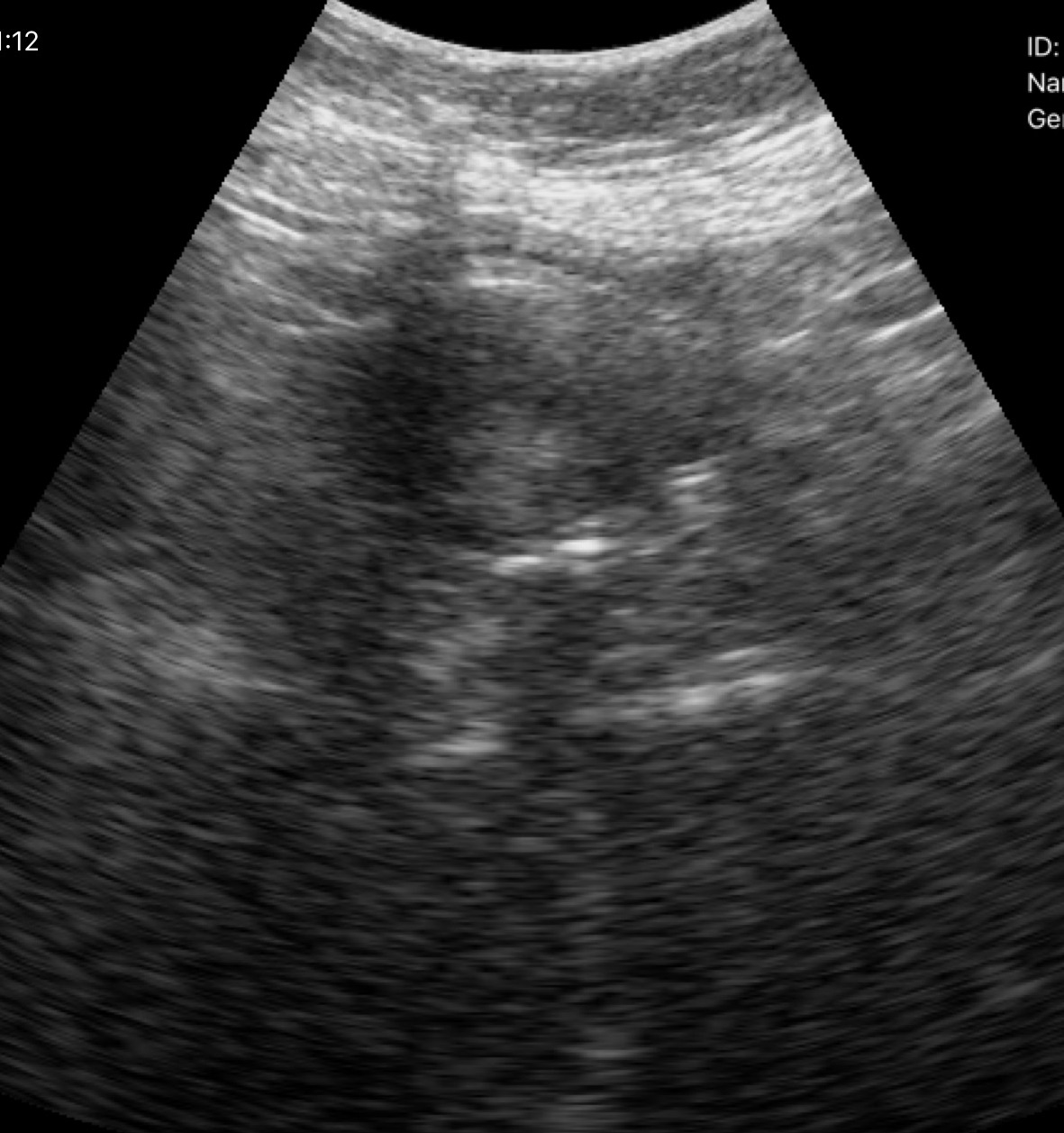
Summary:
Genitourinary ultrasound.